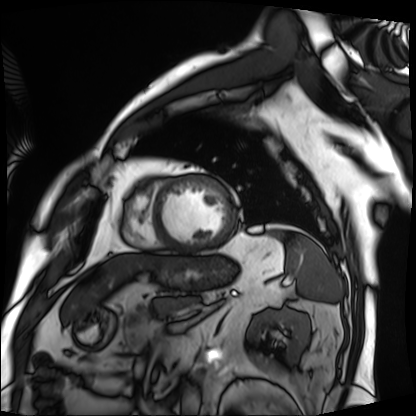
Summary:
Cardiac MRI. Subject group: patient.